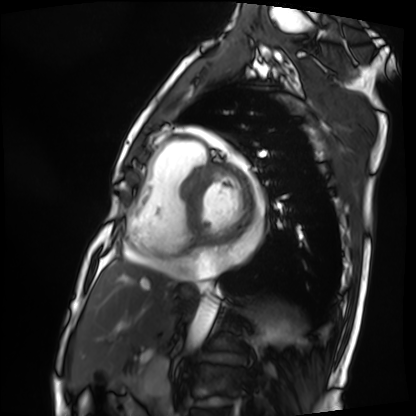
Cardiac MRI.
Subject group: patient.